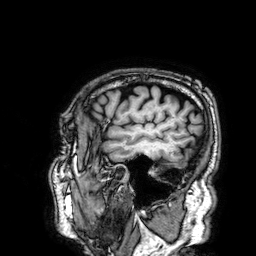
3 Tesla brain MRI. Series: 3D T1-weighted. Study: ring-enhancing brain masses.